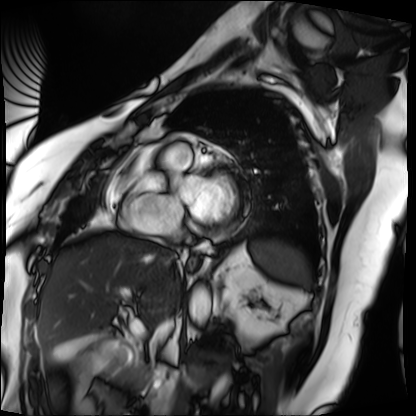
Cardiac MRI. Subject group: patient.